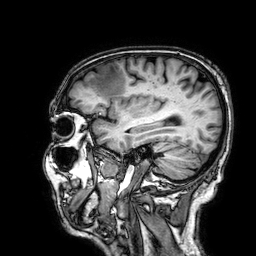
Summary:
3 Tesla brain MRI. Series: 3D T1-weighted. Study: ring-enhancing brain masses.